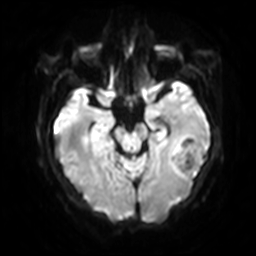
Case:
- modality · 3 Tesla brain MRI
- study · ring-enhancing brain masses